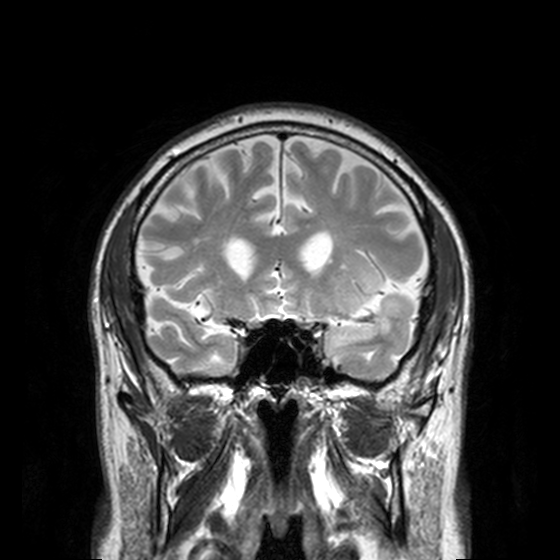
3 Tesla brain MRI. Series: T2-weighted turbo spin echo, 3 mm. Study: ring-enhancing brain masses.